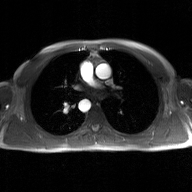
modality = 2D phase-contrast cine MRI of the ascending aorta, GAN super-resolution reconstruction.